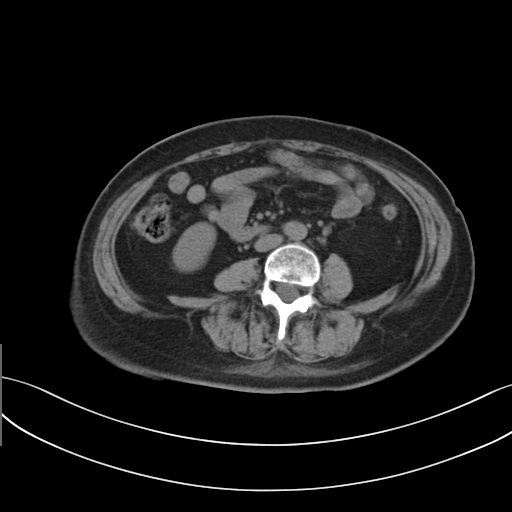
modality=multiphase abdominal CT, liver, non-contrast phase; patient=female, age 63; history=prior chemotherapy.